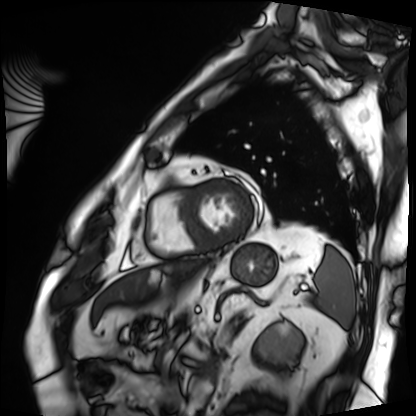
Case:
* modality — cardiac MRI
* subject group — patient